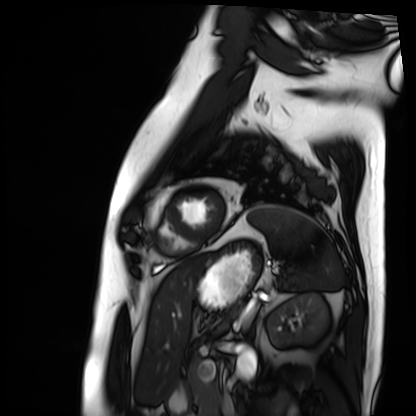
modality = cardiac MRI, subject group = patient.